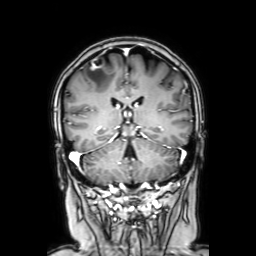
modality = 3 Tesla brain MRI
series = coronal with contrast
study = ring-enhancing brain masses